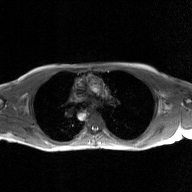
modality = 2D phase-contrast cine MRI of the ascending aorta, GAN super-resolution reconstruction